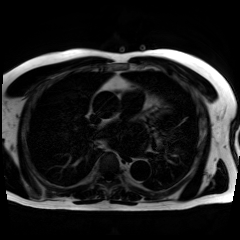
Chemical-shift-encoded cardiac MRI.